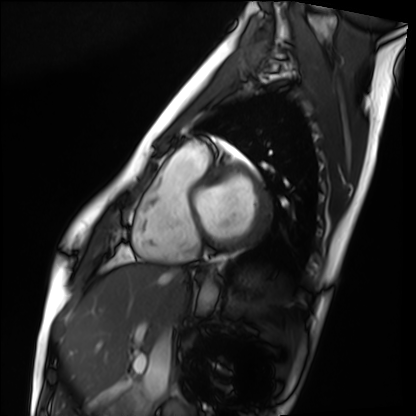
Clinical context: Cardiac MRI. Subject group: healthy volunteer.